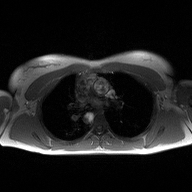
2D phase-contrast cine MRI of the ascending aorta, high-resolution GRAPPA acquisition.